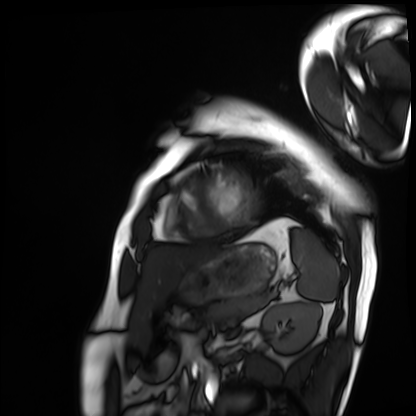
Cardiac MRI. Subject group: patient.